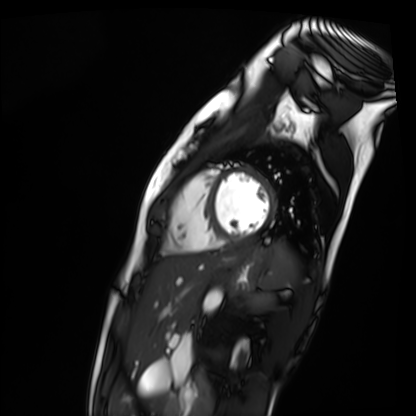
- modality · cardiac MR image of the myocardium
- subject cohort · healthy volunteer